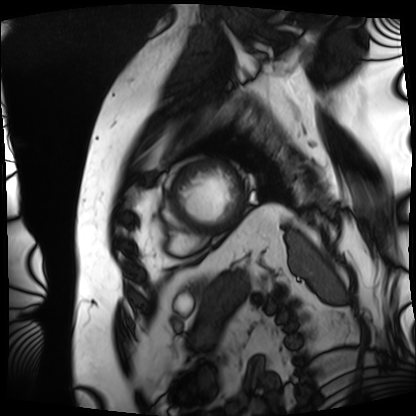
| field | value |
|---|---|
| modality | cardiac MRI |
| subject group | patient |